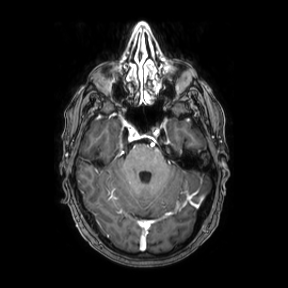
3 Tesla brain MRI. Series: axial. Study: ring-enhancing brain masses.